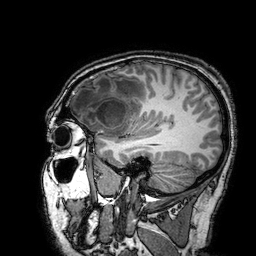
3 Tesla brain MRI. Series: 3D T1-weighted turbo field echo with SENSE. Study: ring-enhancing brain masses.